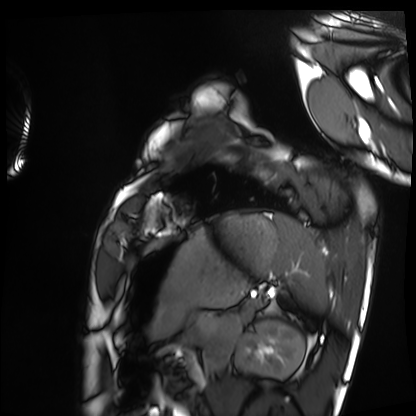
modality=cardiac MRI
subject group=healthy volunteer